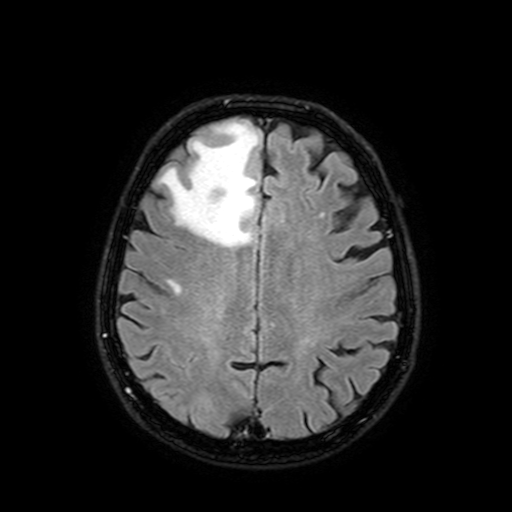
Q: What kind of scan is this?
A: 3 Tesla brain MRI.
Q: Series?
A: FLAIR with SPAIR, 3 mm.
Study: ring-enhancing brain masses.